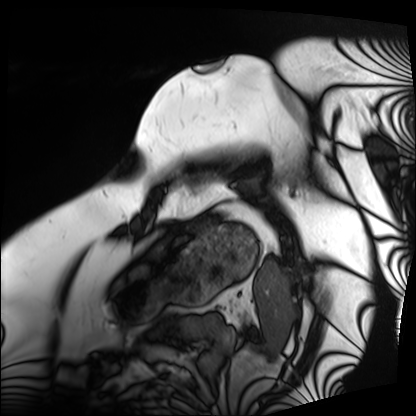
  modality: cardiac MRI
  cohort: patient